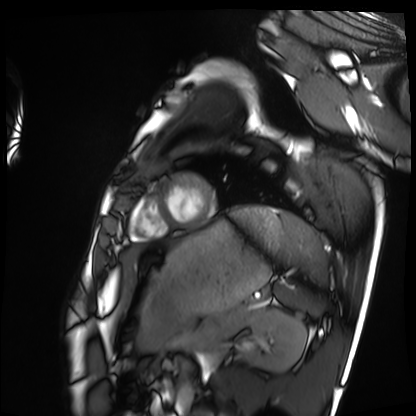
Summary:
Cardiac MRI. Subject group: healthy volunteer.